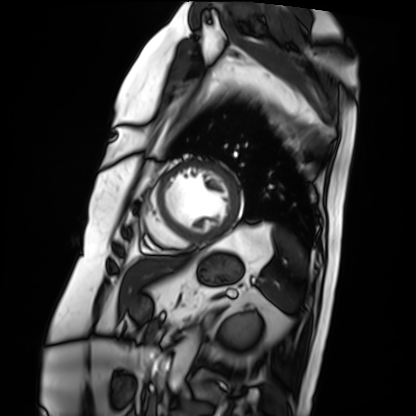
Cardiac MRI. Subject group: patient.